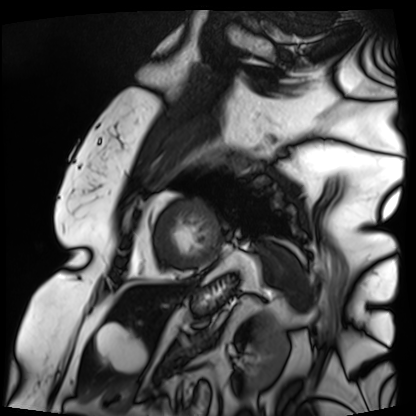
Cardiac MRI.
Subject group: patient.